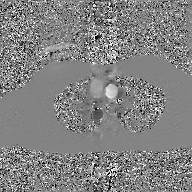
modality=2D phase-contrast cine MRI of the ascending aorta, GAN super-resolution reconstruction.